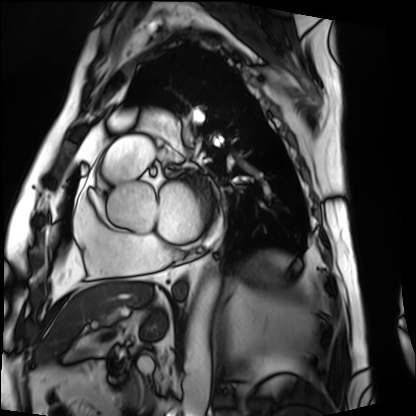
Cardiac MRI.
Subject group: patient.